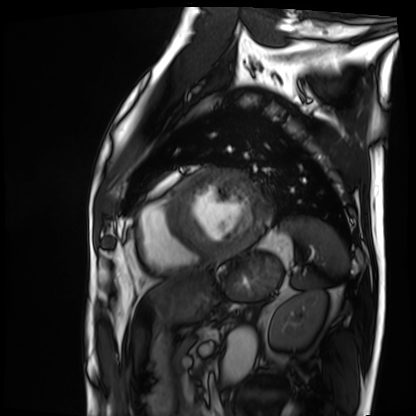
modality = cardiac MRI; subject group = patient.